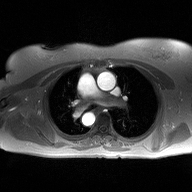
Summary: 2D phase-contrast cine MRI of the ascending aorta, high-resolution GRAPPA acquisition.